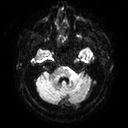
Summary: 3 Tesla brain MRI. Series: diffusion tensor imaging (medium iso). Study: ring-enhancing brain masses.